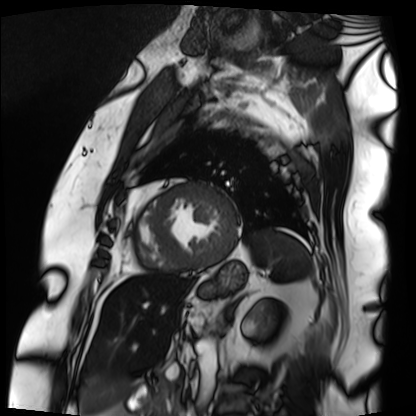
- modality · cardiac MRI
- subject group · patient